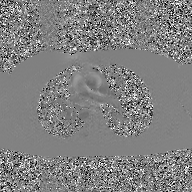
modality: 2D phase-contrast cine MRI of the ascending aorta, GAN super-resolution reconstruction.